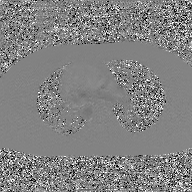
2D phase-contrast cine MRI of the ascending aorta, GAN super-resolution reconstruction.